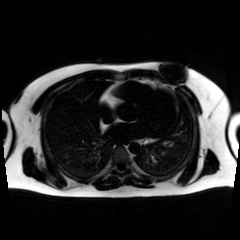
Summary:
Chemical-shift-encoded cardiac MRI.